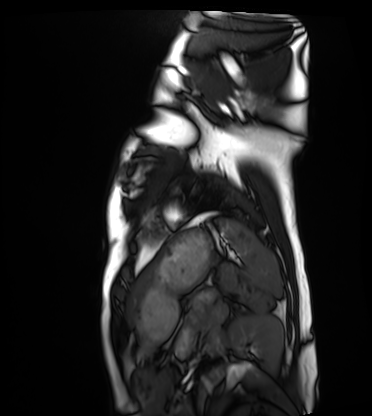
– modality — cardiac MRI
– subject group — healthy volunteer